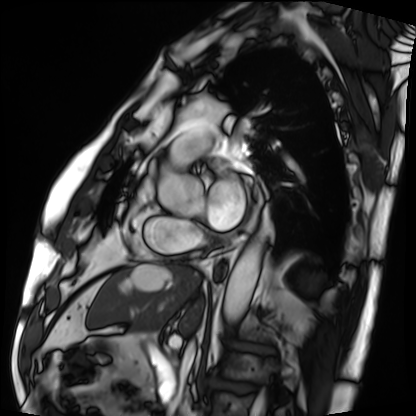
Case summary: Cardiac MRI. Subject group: patient.